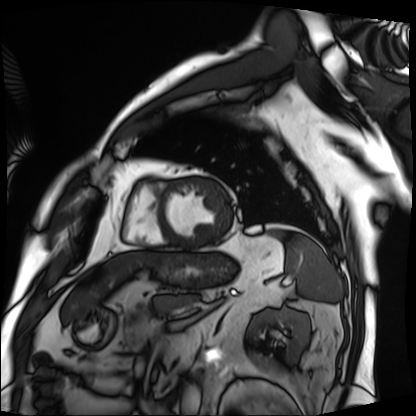
Cardiac MRI. Subject group: patient.